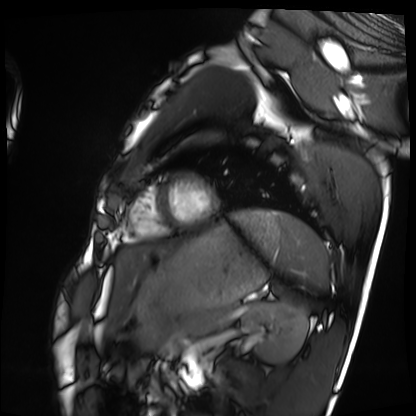
Cardiac MRI.
Subject group: healthy volunteer.